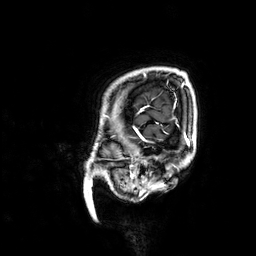
Case summary:
3 Tesla brain MRI. Series: 3D T1-weighted. Study: ring-enhancing brain masses.